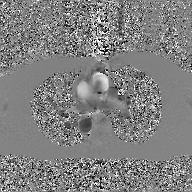
Case:
• modality: 2D phase-contrast cine MRI of the ascending aorta, GAN super-resolution reconstruction